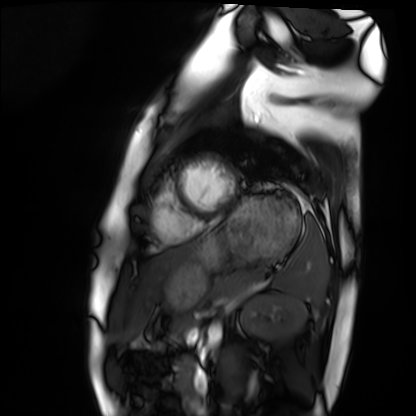
Clinical context:
Cardiac MRI. Subject group: healthy volunteer.